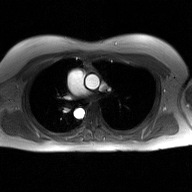
| field | value |
|---|---|
| modality | 2D phase-contrast cine MRI of the ascending aorta, GAN super-resolution reconstruction |